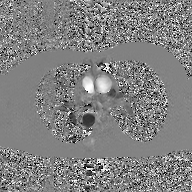
2D phase-contrast cine MRI of the ascending aorta, GAN super-resolution reconstruction.